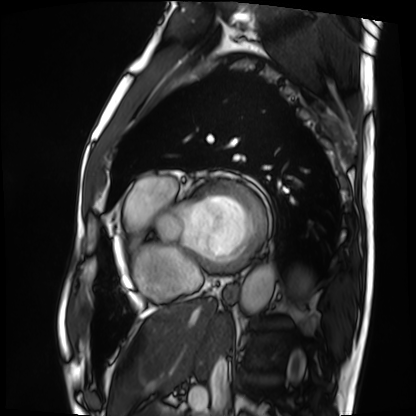
Cardiac MRI.
Subject group: patient.